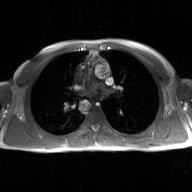
Clinical context:
2D phase-contrast cine MRI of the ascending aorta, GAN super-resolution reconstruction.